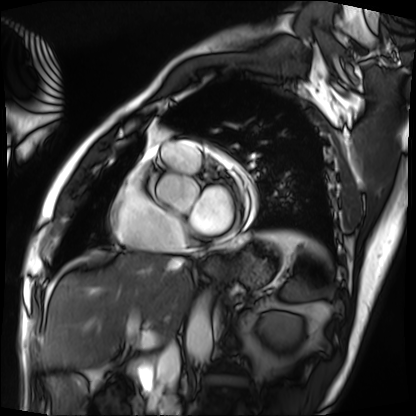
Cardiac MRI. Subject group: patient.